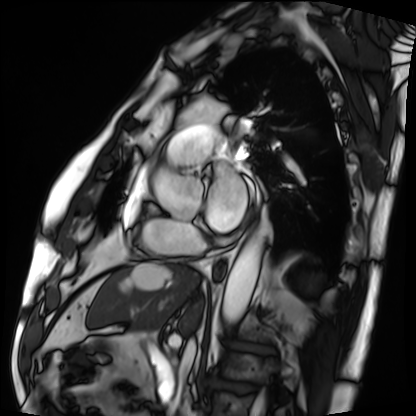
{
  "modality": "cardiac MRI",
  "cohort": "patient"
}